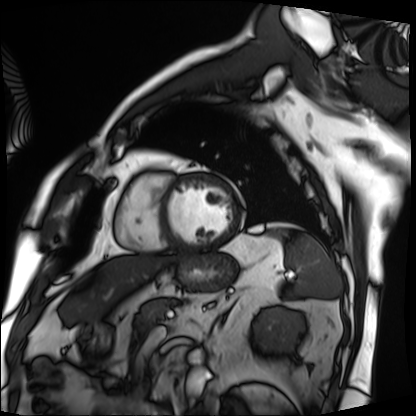
Case:
• modality — cardiac MRI
• subject group — patient